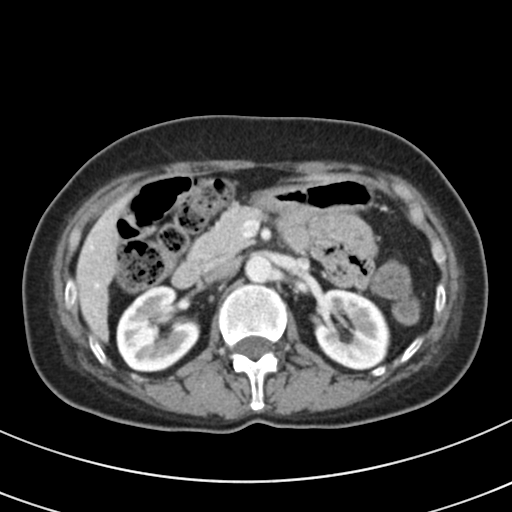
Multiphase abdominal CT, liver, portal venous phase. Patient: female, age 51. History: prior chemotherapy.